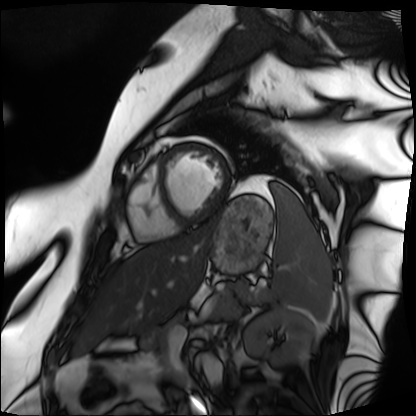
Clinical context:
Cardiac MRI. Subject group: patient.